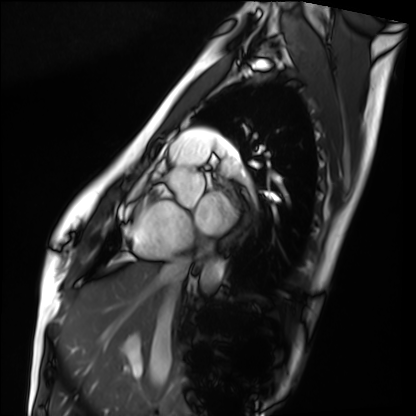
Case summary:
Cardiac MRI. Subject group: healthy volunteer.